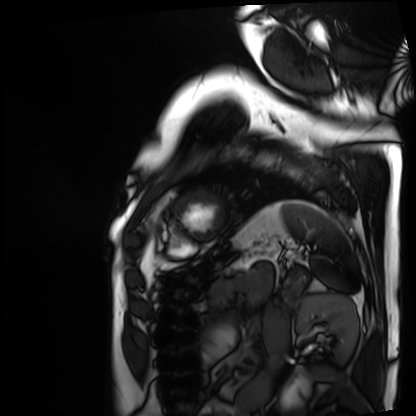
Summary: Cardiac MRI. Subject group: patient.